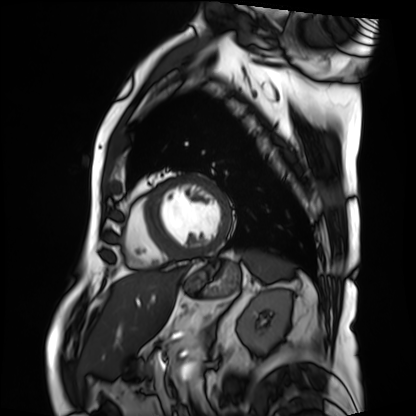
modality = cardiac MRI
subject group = patient